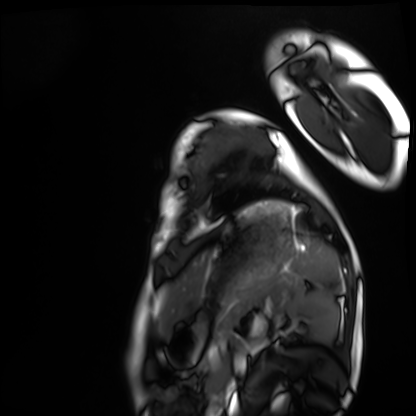
– modality · cardiac MRI
– subject group · healthy volunteer